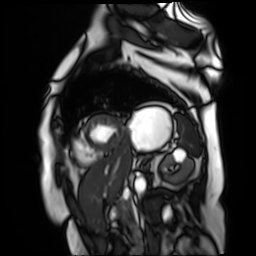
Cardiac MR image of the myocardium. Subject cohort: cardiac patient.